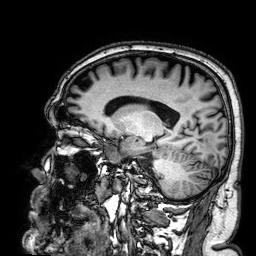
modality = 3 Tesla brain MRI | series = 3D T1-weighted | study = ring-enhancing brain masses.